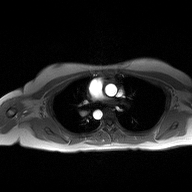
modality = 2D phase-contrast cine MRI of the ascending aorta